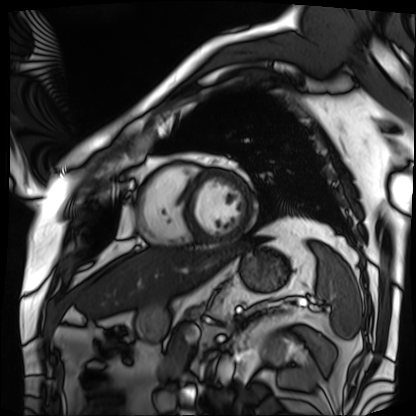
Cardiac MRI.
Subject group: patient.